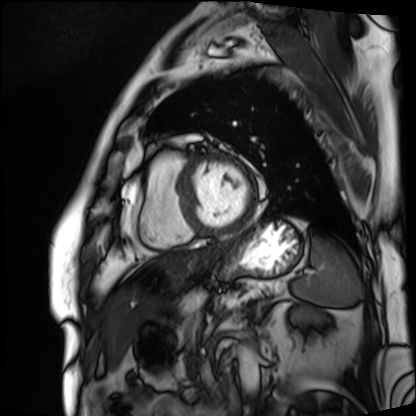
| field | value |
|---|---|
| modality | cardiac MRI |
| subject group | patient |